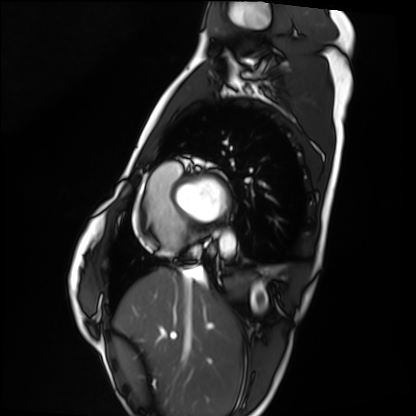
modality=cardiac MRI
subject group=healthy volunteer